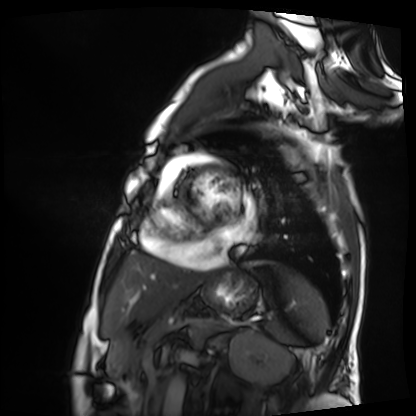
Summary: Cardiac MRI. Subject group: patient.